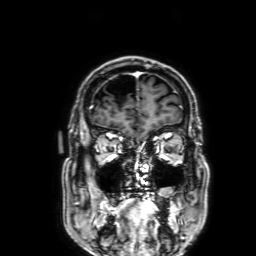
Case:
• modality · 3 Tesla brain MRI
• series · 3D T1-weighted with SENSE
• study · ring-enhancing brain masses